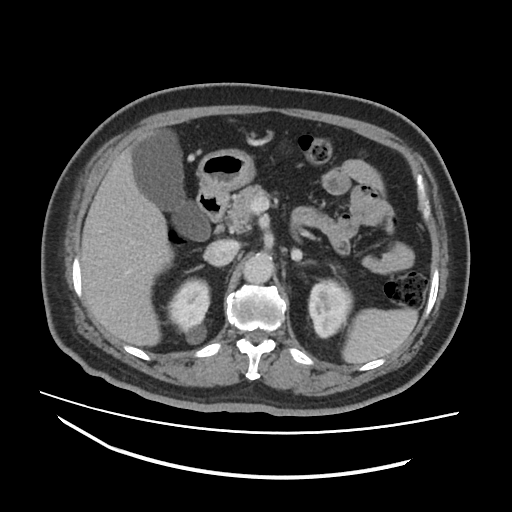
modality: multiphase abdominal CT, liver, portal venous phase | patient: male, age 63 | history: cirrhosis, viral hepatitis.